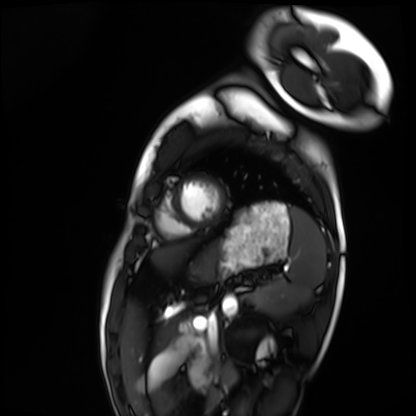
Summary:
Cardiac MRI. Subject group: healthy volunteer.